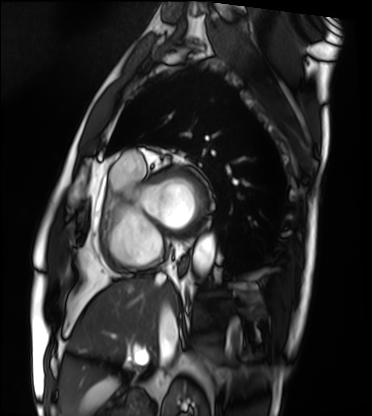
Cardiac MRI. Subject group: patient.